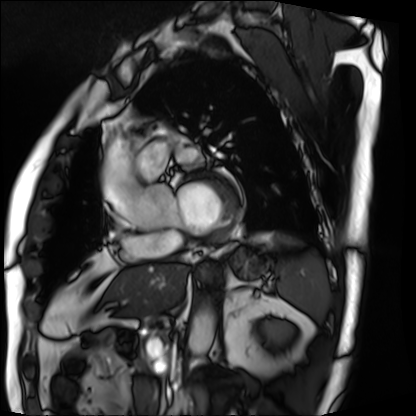
Cardiac MRI. Subject group: patient.